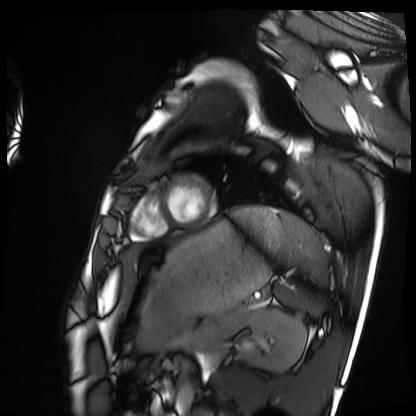
Summary:
Cardiac MRI. Subject group: healthy volunteer.